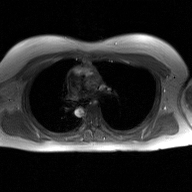
modality = 2D phase-contrast cine MRI of the ascending aorta, GAN super-resolution reconstruction